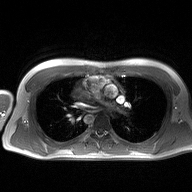
Summary: 2D phase-contrast cine MRI of the ascending aorta, high-resolution GRAPPA acquisition.